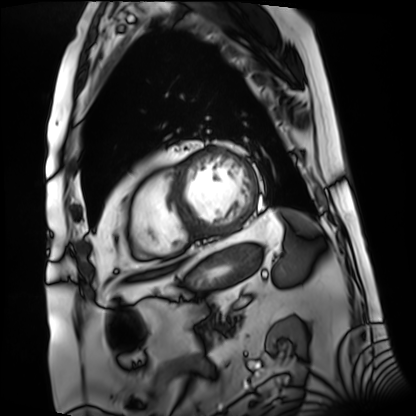
Cardiac MRI.
Subject group: patient.